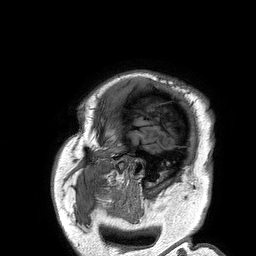
Case:
• modality · 3 Tesla brain MRI
• series · 3D T1-weighted turbo field echo
• study · ring-enhancing brain masses